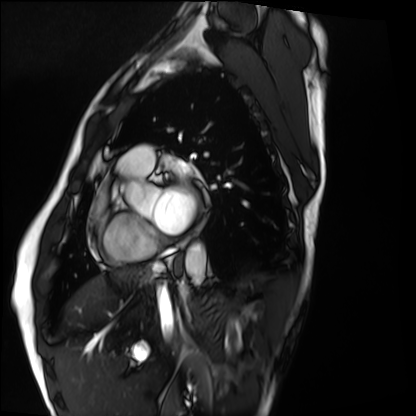
modality = cardiac MRI | subject group = healthy volunteer.